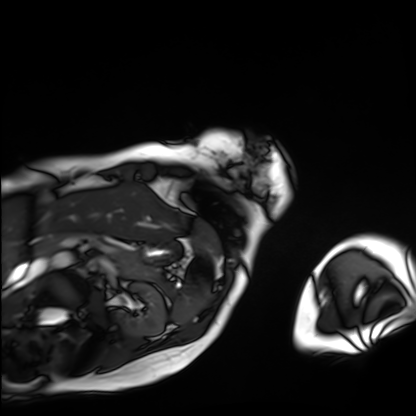
Cardiac MRI. Subject group: patient.